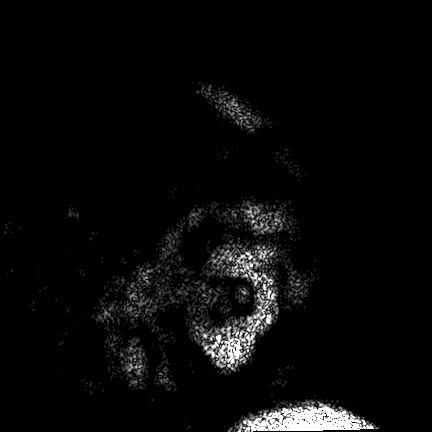
Q: What kind of scan is this?
A: 3 Tesla brain MRI.
Q: Series?
A: FLAIR VISTA.
Study: ring-enhancing brain masses.